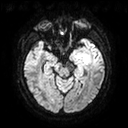
3 Tesla brain MRI. Series: diffusion tensor imaging (medium iso). Study: ring-enhancing brain masses.